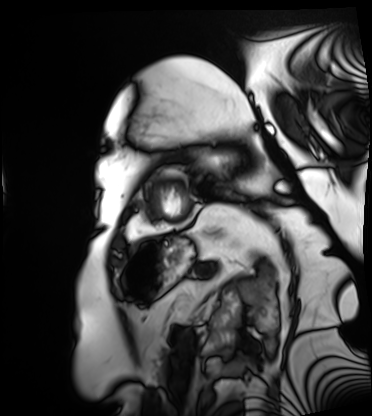
Cardiac MRI. Subject group: patient.